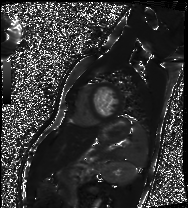
Cardiac MRI. Subject group: healthy volunteer.